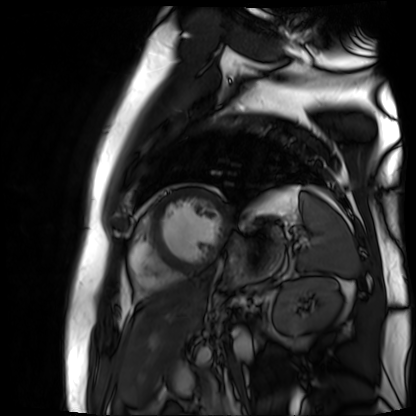
Clinical context:
Cardiac MR image of the myocardium. Subject cohort: cardiac patient.